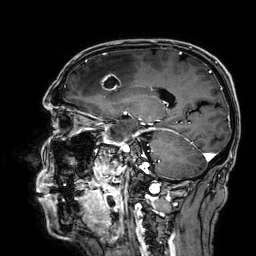
3 Tesla brain MRI.
Series: 3D T1-weighted.
Study: ring-enhancing brain masses.